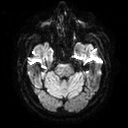
3 Tesla brain MRI. Series: diffusion tensor imaging (medium iso). Study: ring-enhancing brain masses.